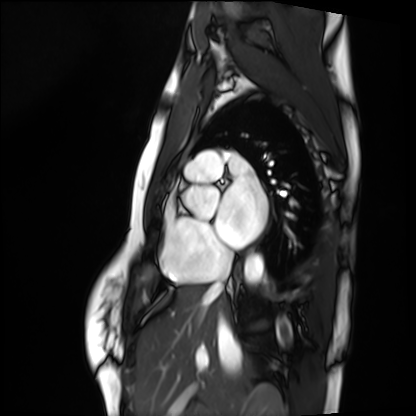
– modality: cardiac MRI
– subject group: healthy volunteer